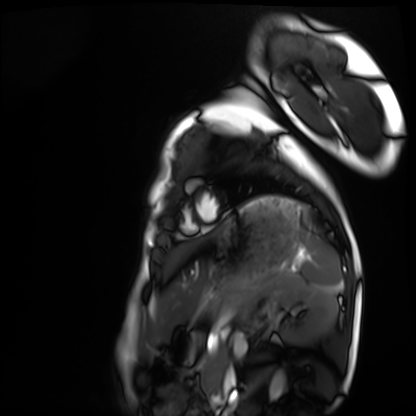
– modality — cardiac MRI
– subject group — healthy volunteer